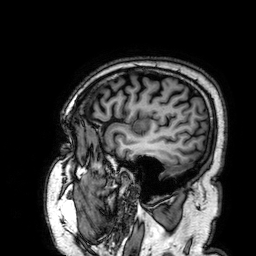
modality: 3 Tesla brain MRI | series: 3D T1-weighted | study: ring-enhancing brain masses.